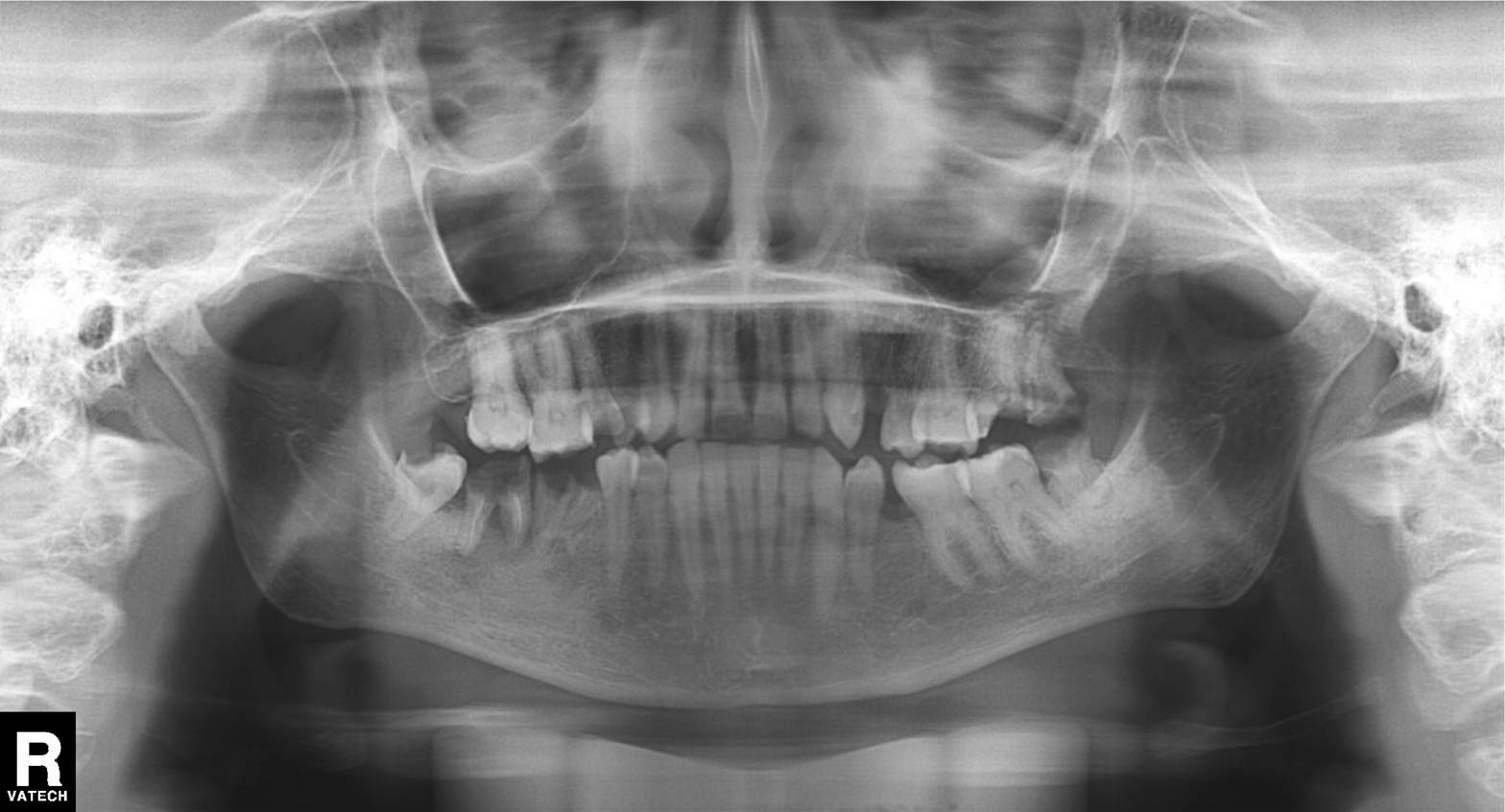
Panoramic dental radiograph (orthopantomogram). Finding: alveolar bone loss.